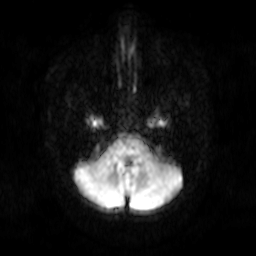
Q: What kind of scan is this?
A: 3 Tesla brain MRI.
Q: Series?
A: Diffusion-weighted imaging.
Study: ring-enhancing brain masses.